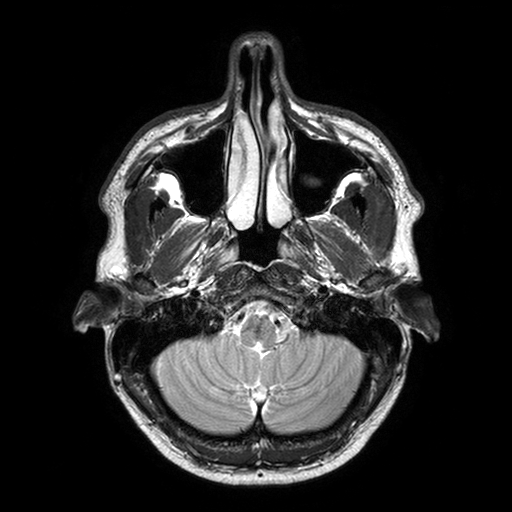
3 Tesla brain MRI.
Series: T2-weighted turbo spin echo with SENSE.
Study: ring-enhancing brain masses.